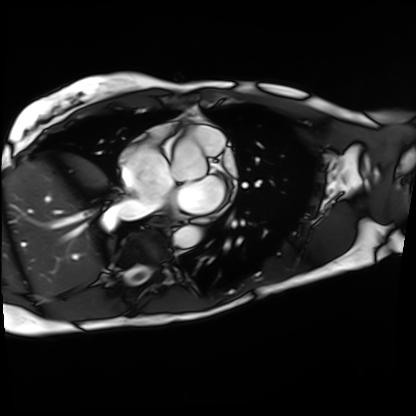
Clinical context:
Cardiac MRI. Subject group: patient.